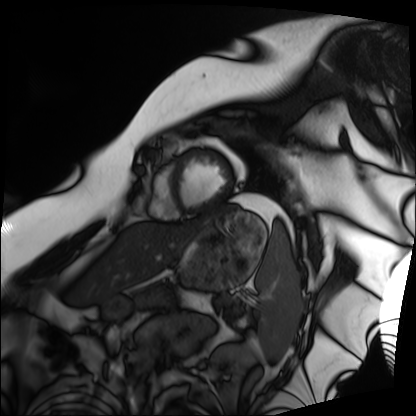
Summary:
Cardiac MRI. Subject group: patient.